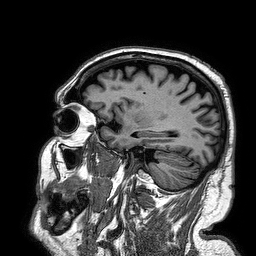
| field | value |
|---|---|
| modality | 3 Tesla brain MRI |
| series | 3D T1-weighted turbo field echo |
| study | ring-enhancing brain masses |